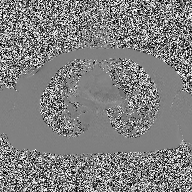
<scan>
<modality>
  <type>2D phase-contrast cine MRI</type>
  <region>ascending aorta</region>
  <reconstruction>high-resolution GRAPPA acquisition</reconstruction>
</modality>
</scan>